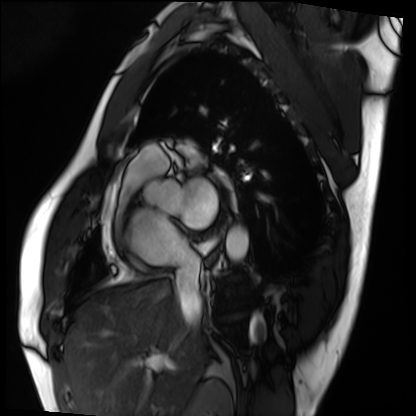
Cardiac MRI.
Subject group: patient.